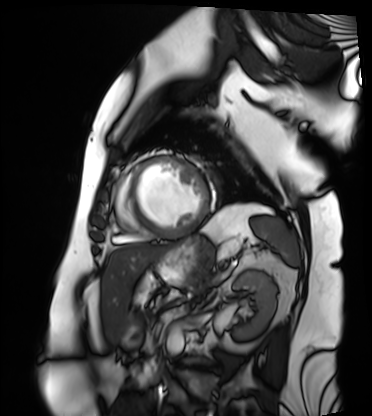
Cardiac MRI. Subject group: patient.